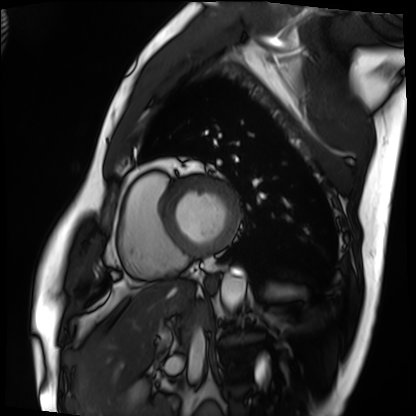
Case:
* modality · cardiac MRI
* subject group · patient